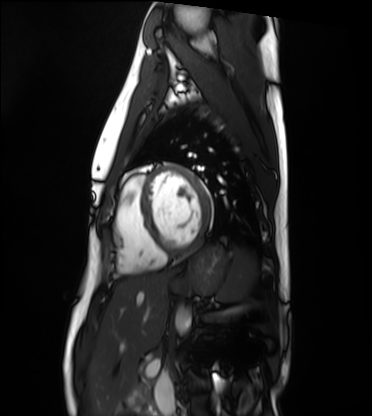
<record>
<modality>cardiac MRI</modality>
<cohort>healthy volunteer</cohort>
</record>